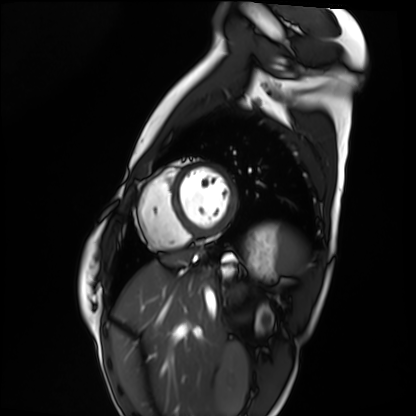
Cardiac MRI.
Subject group: healthy volunteer.